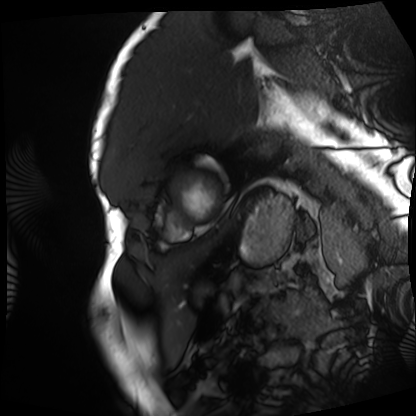
Cardiac MRI. Subject group: patient.